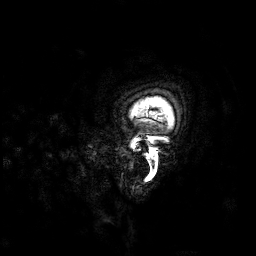
{"modality": {"type": "brain MRI", "field_strength": "3T"}, "study_topic": "ring-enhancing brain masses"}